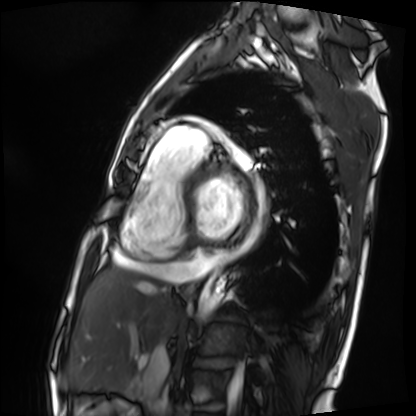
| field | value |
|---|---|
| modality | cardiac MRI |
| subject group | patient |